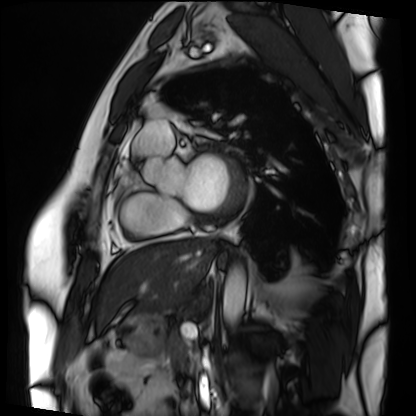
| field | value |
|---|---|
| modality | cardiac MRI |
| subject group | patient |